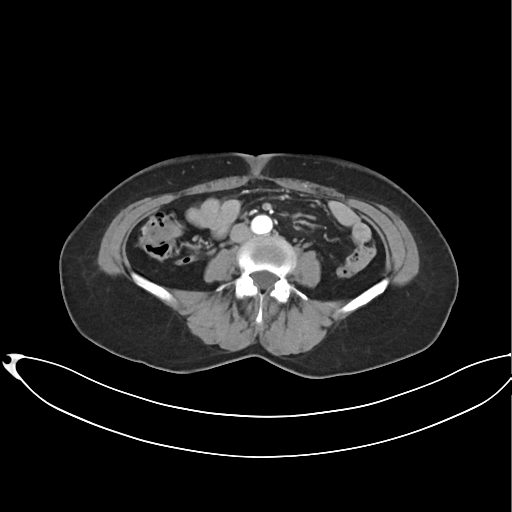
| field | value |
|---|---|
| modality | multiphase abdominal CT, liver, arterial phase |
| patient | female, age 60 |